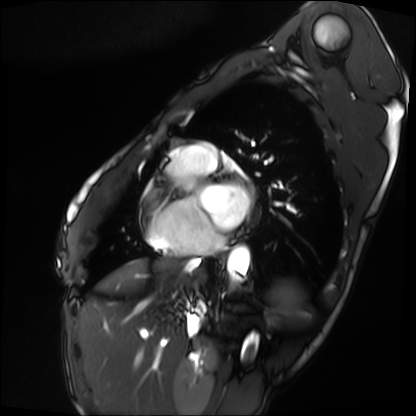
Cardiac MRI.
Subject group: patient.